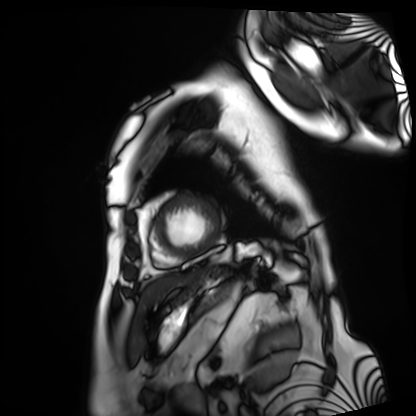
Cardiac MRI. Subject group: patient.